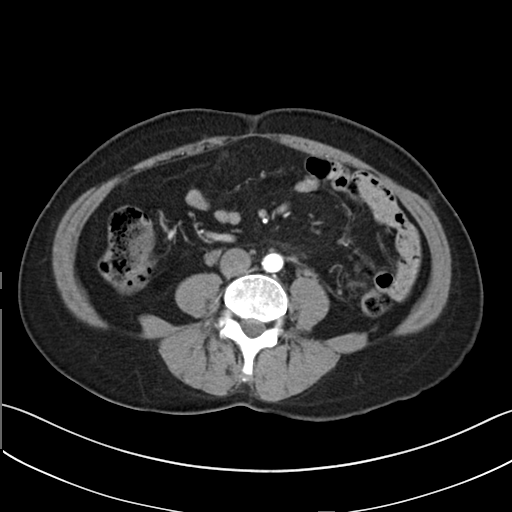
Multiphase abdominal CT, liver, arterial phase.
Patient: female, age 49.